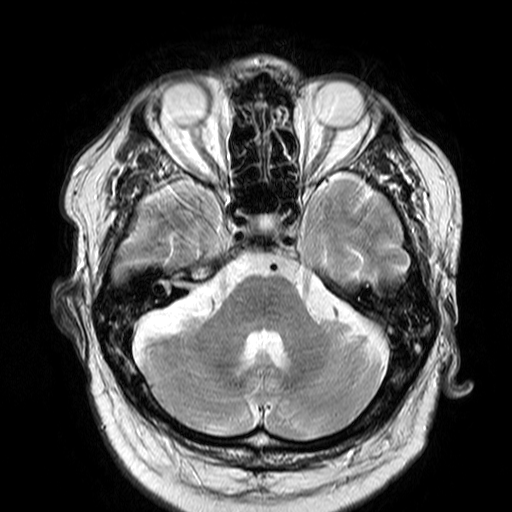
3 Tesla brain MRI. Series: T2-weighted turbo spin echo. Study: ring-enhancing brain masses.